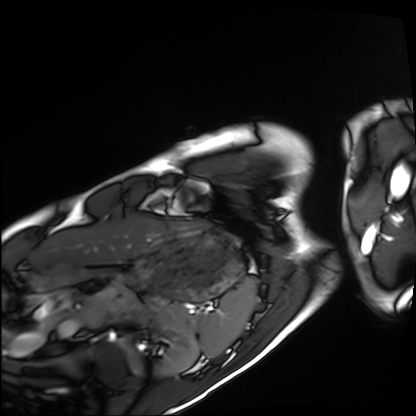
<study>
<modality>cardiac MRI</modality>
<cohort>healthy volunteer</cohort>
</study>